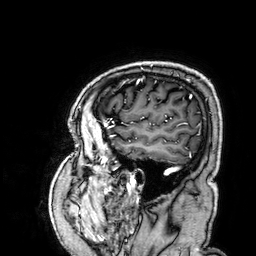
modality:
  type: brain MRI
  field_strength: 3T
series: 3D T1-weighted
study_topic: ring-enhancing brain masses